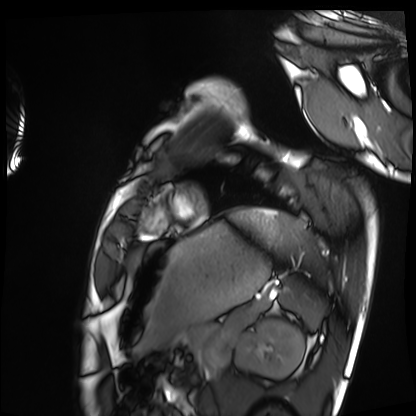
Case:
* modality — cardiac MRI
* subject group — healthy volunteer